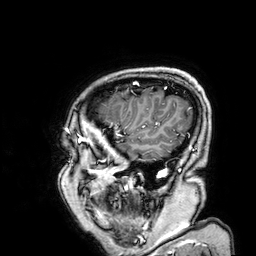
Summary:
3 Tesla brain MRI. Series: 3D T1-weighted. Study: ring-enhancing brain masses.